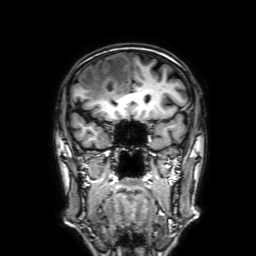
3 Tesla brain MRI.
Series: 3D T1-weighted with SENSE.
Study: ring-enhancing brain masses.